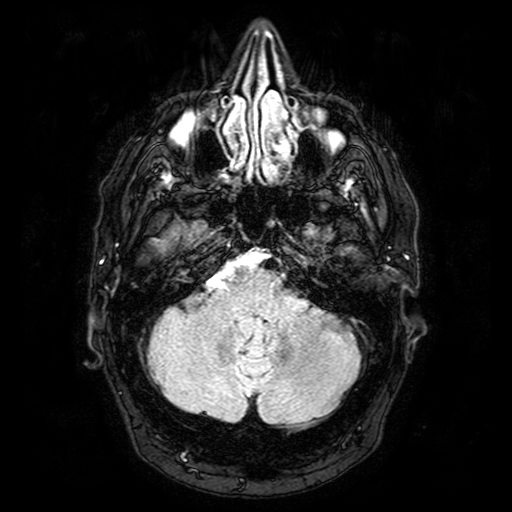
modality:
  type: brain MRI
  field_strength: 3T
series: FLAIR with SPAIR
study_topic: ring-enhancing brain masses